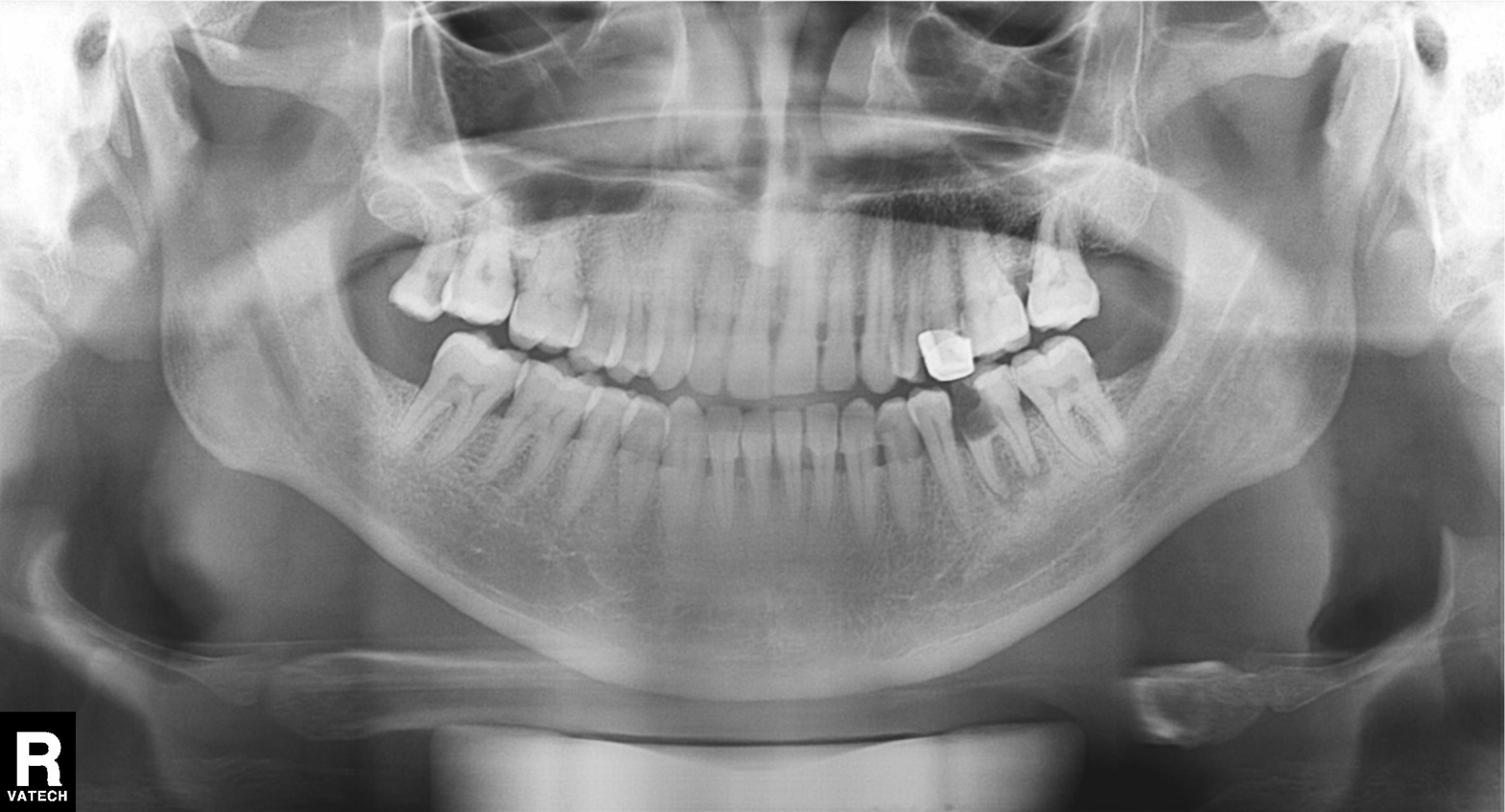
Panoramic dental radiograph (orthopantomogram). Finding: dental caries (cavities).